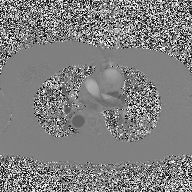
Summary:
2D phase-contrast cine MRI of the ascending aorta, high-resolution GRAPPA acquisition.